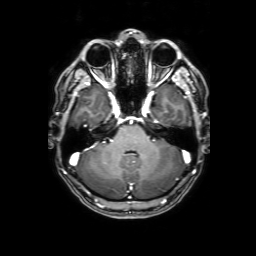
3 Tesla brain MRI. Series: 3D T1-weighted with SENSE. Study: ring-enhancing brain masses.